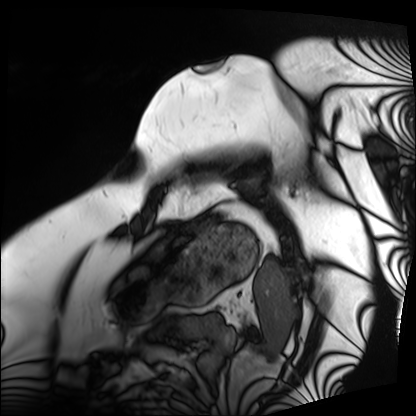
| field | value |
|---|---|
| modality | cardiac MRI |
| subject group | patient |